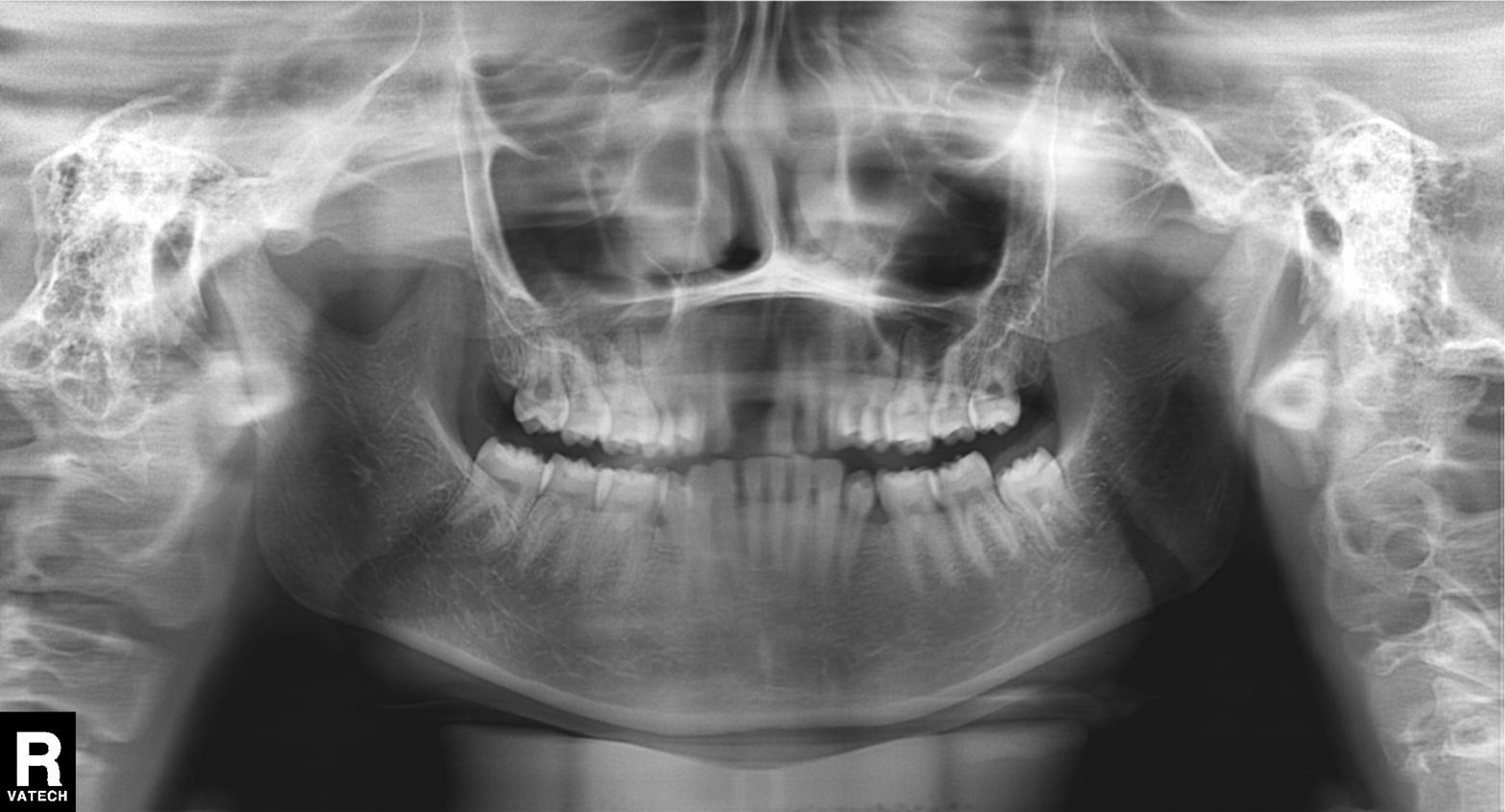
Summary:
Panoramic dental radiograph (orthopantomogram).
Conclusion:
Alveolar bone loss.